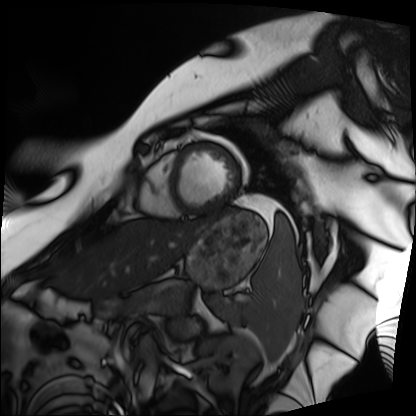
<case>
<modality>cardiac MRI</modality>
<cohort>patient</cohort>
</case>